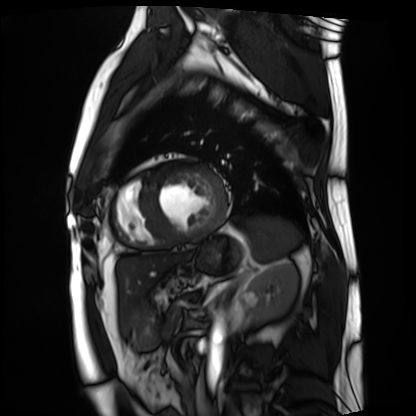
modality: cardiac MRI
subject group: patient